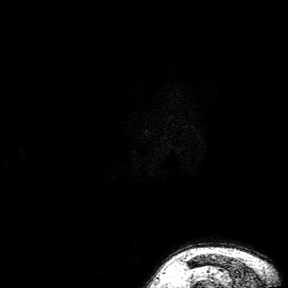
modality: 3 Tesla brain MRI; study: ring-enhancing brain masses.